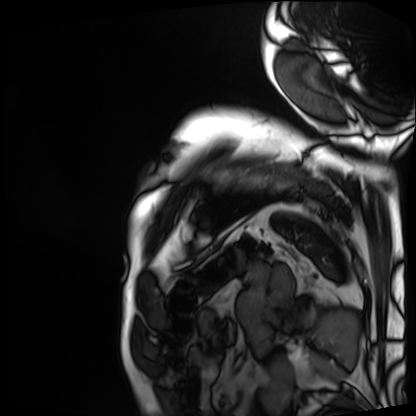
| field | value |
|---|---|
| modality | cardiac MRI |
| subject group | patient |